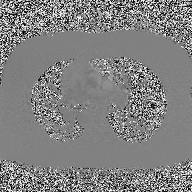
Case summary:
2D phase-contrast cine MRI of the ascending aorta, high-resolution GRAPPA acquisition.